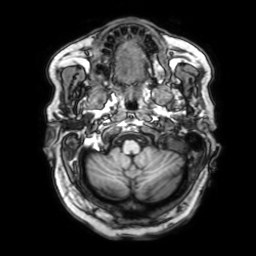
3 Tesla brain MRI.
Series: 3D T1-weighted with SENSE.
Study: ring-enhancing brain masses.